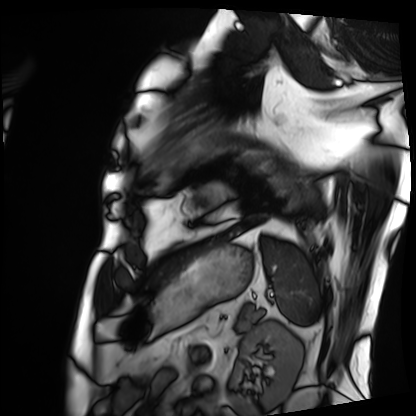
Cardiac MRI. Subject group: patient.